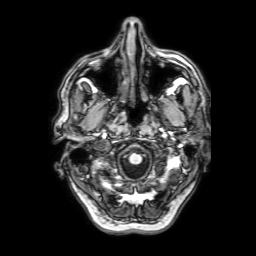
<study>
  <modality>
    <type>brain MRI</type>
    <field_strength>3T</field_strength>
  </modality>
  <series>3D T1-weighted with SENSE</series>
  <study_topic>ring-enhancing brain masses</study_topic>
</study>